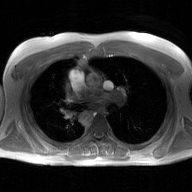
2D phase-contrast cine MRI of the ascending aorta, GAN super-resolution reconstruction.